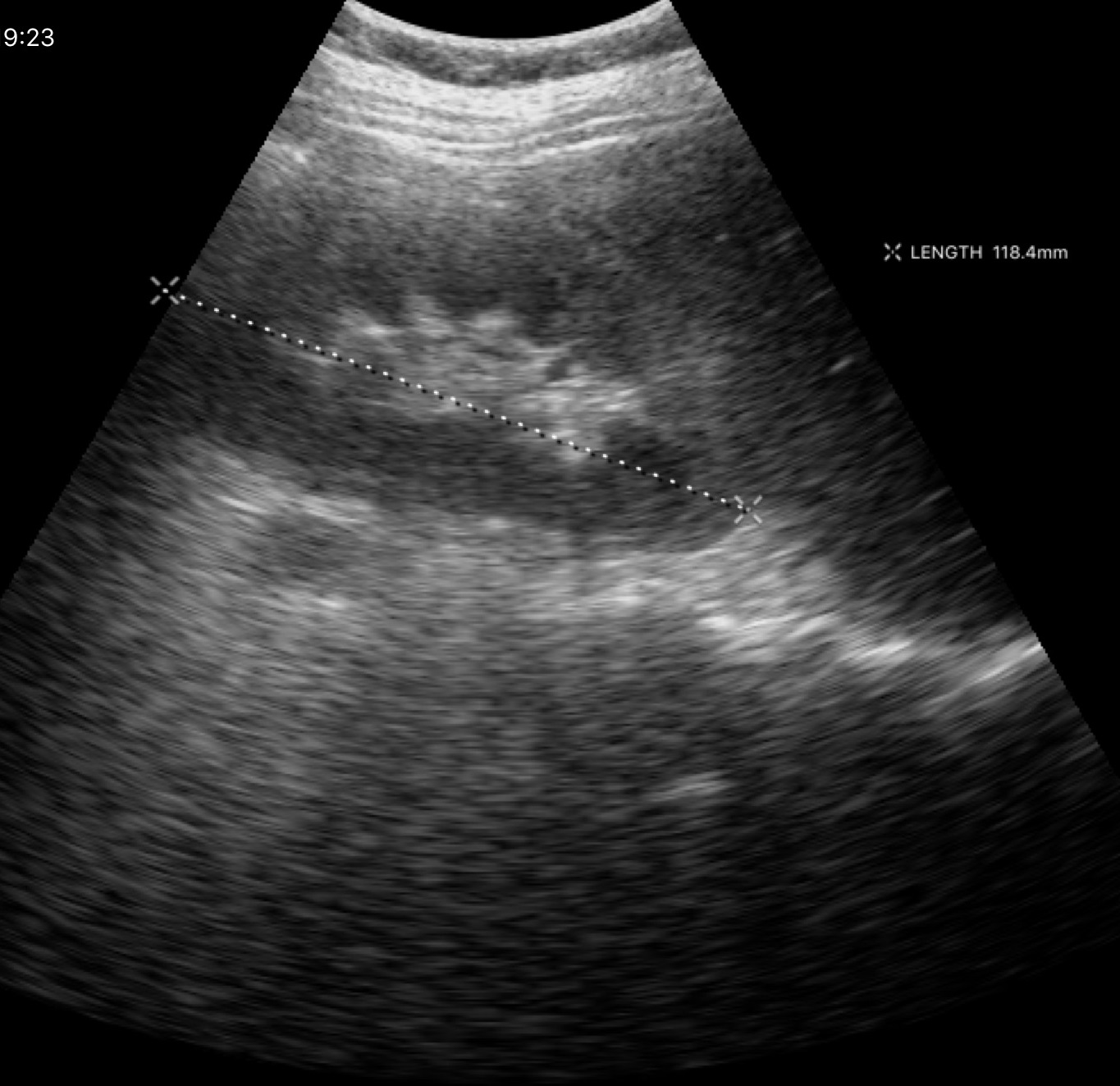
Genitourinary ultrasound.